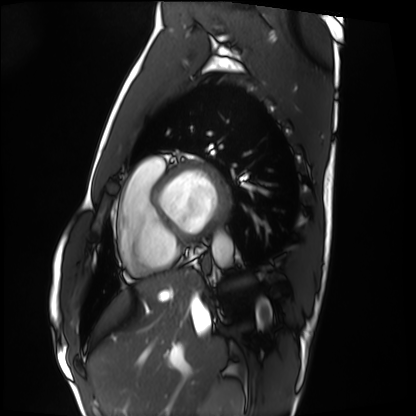
modality = cardiac MRI, subject group = healthy volunteer.